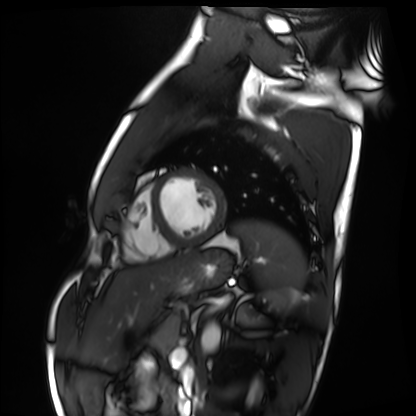
Summary:
Cardiac MRI. Subject group: healthy volunteer.